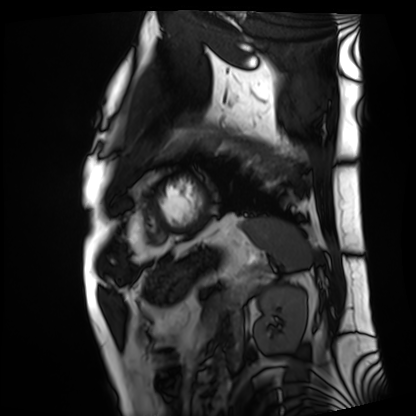
  modality: cardiac MRI
  cohort: patient